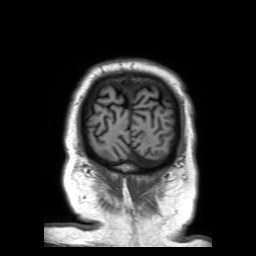
3 Tesla brain MRI. Study: ring-enhancing brain masses.